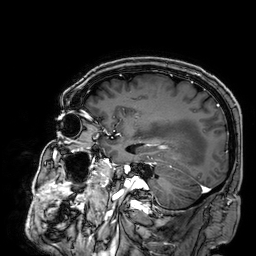
Clinical context:
3 Tesla brain MRI. Series: 3D T1-weighted. Study: ring-enhancing brain masses.